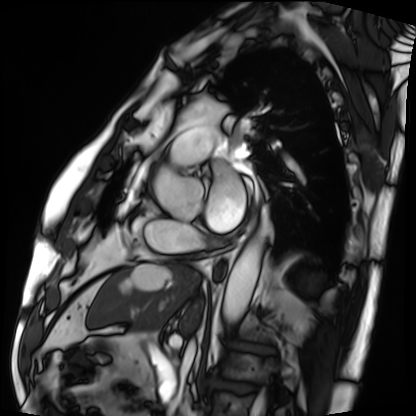
Cardiac MRI. Subject group: patient.